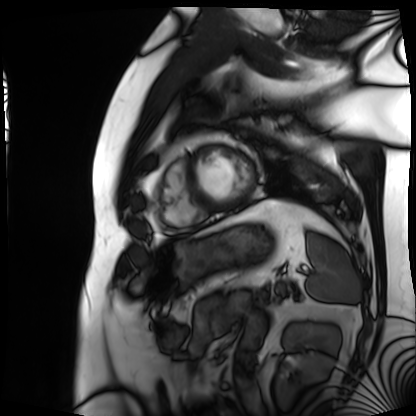
Clinical context:
Cardiac MRI. Subject group: patient.